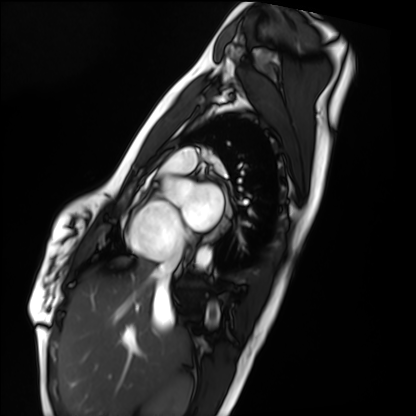
| field | value |
|---|---|
| modality | cardiac MRI |
| subject group | healthy volunteer |